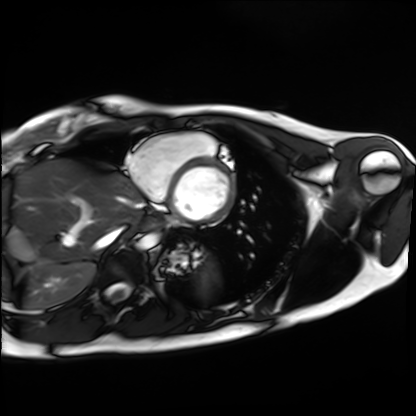
| field | value |
|---|---|
| modality | cardiac MRI |
| subject group | healthy volunteer |